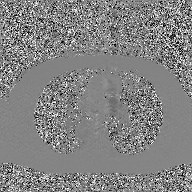
modality=2D phase-contrast cine MRI of the ascending aorta, GAN super-resolution reconstruction.